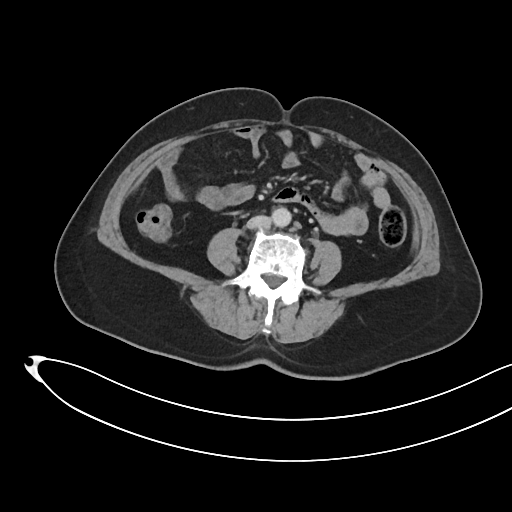
Case summary:
Multiphase abdominal CT, liver, portal venous phase. Patient: female, age 61.